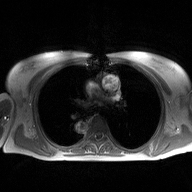
2D phase-contrast cine MRI of the ascending aorta, high-resolution GRAPPA acquisition.